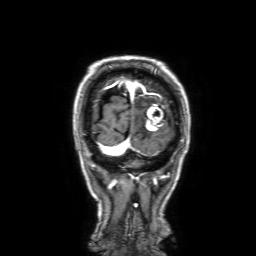
modality = 3 Tesla brain MRI; series = 3D T1-weighted with SENSE; study = ring-enhancing brain masses.